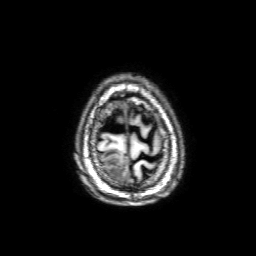
| field | value |
|---|---|
| modality | 3 Tesla brain MRI |
| series | 3D T1-weighted with SENSE |
| study | ring-enhancing brain masses |